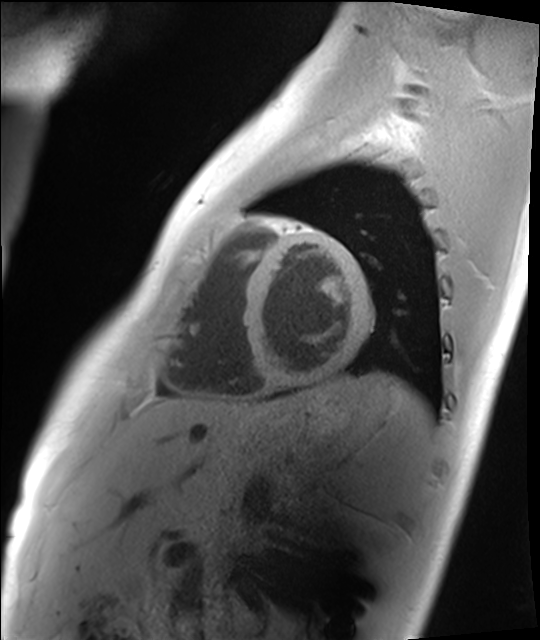
modality=cardiac MRI | subject group=healthy volunteer.